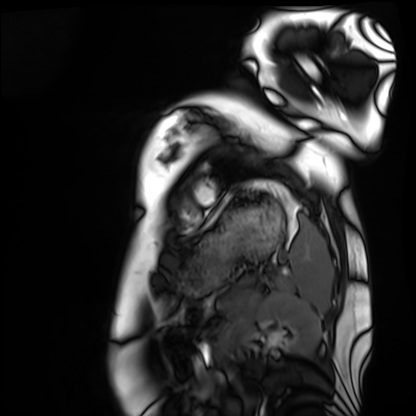
Case:
– modality: cardiac MRI
– subject group: healthy volunteer